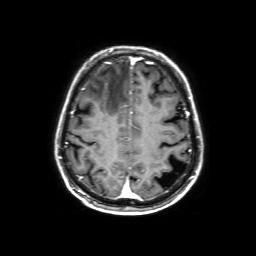
Case summary: 3 Tesla brain MRI. Series: 3D T1-weighted with SENSE. Study: ring-enhancing brain masses.